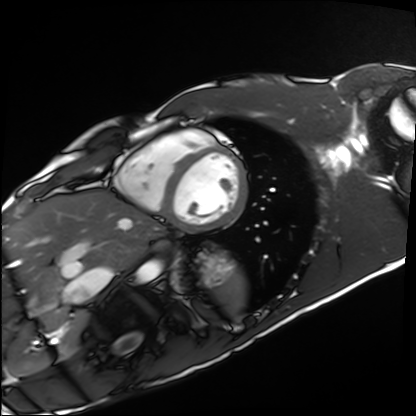
Clinical context: Cardiac MRI. Subject group: healthy volunteer.